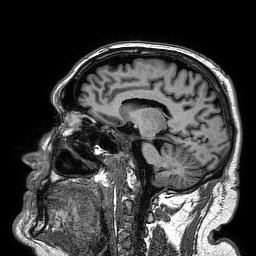
Summary: 3 Tesla brain MRI. Series: 3D T1-weighted turbo field echo. Study: ring-enhancing brain masses.